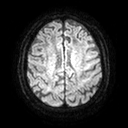
3 Tesla brain MRI. Series: diffusion tensor imaging (medium iso). Study: ring-enhancing brain masses.